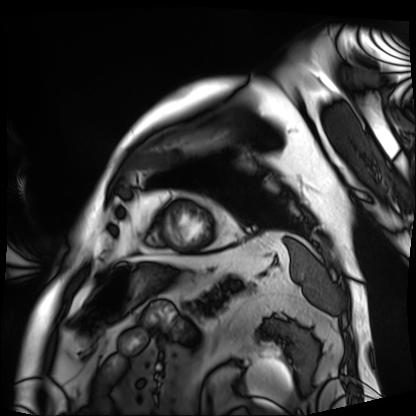
modality — cardiac MRI | subject group — patient.